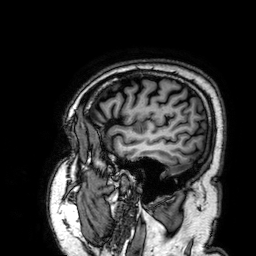
| field | value |
|---|---|
| modality | 3 Tesla brain MRI |
| series | 3D T1-weighted |
| study | ring-enhancing brain masses |